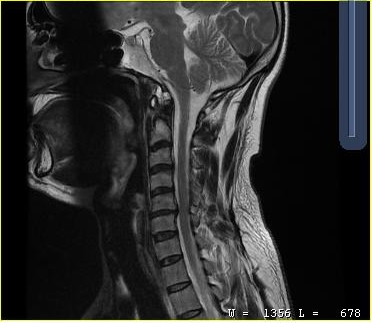
MRI of the cervical spine. Study: cervical spondylosis.